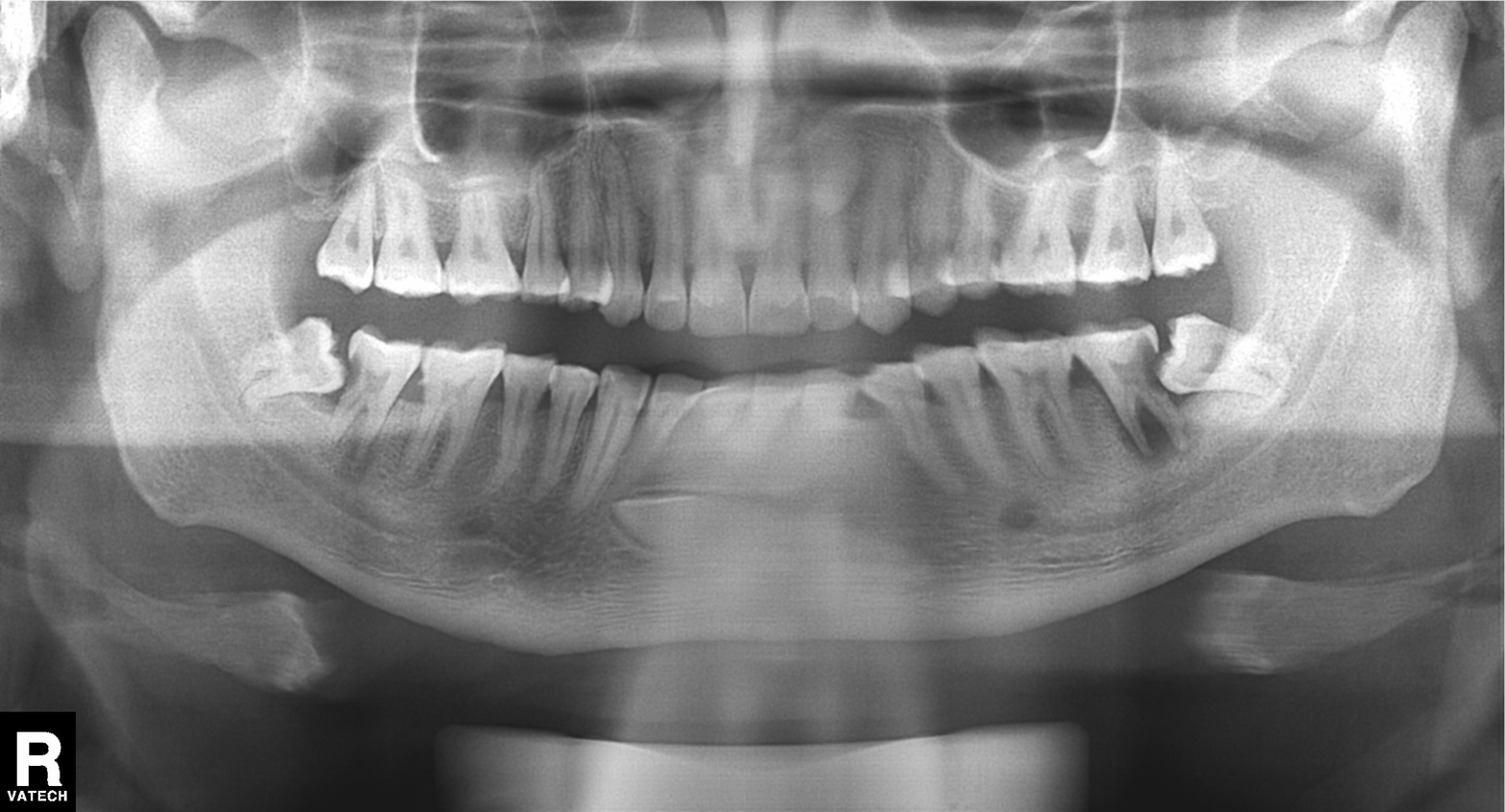
Summary: Panoramic dental radiograph (orthopantomogram).
Conclusion: Tooth impaction.